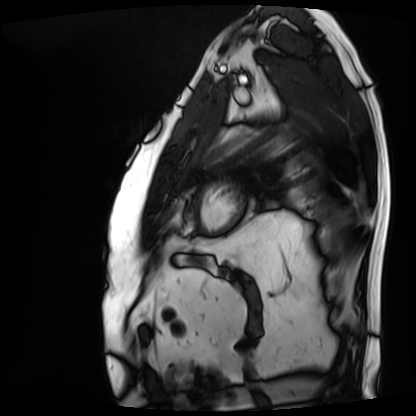
<study>
<modality>cardiac MRI</modality>
<cohort>patient</cohort>
</study>